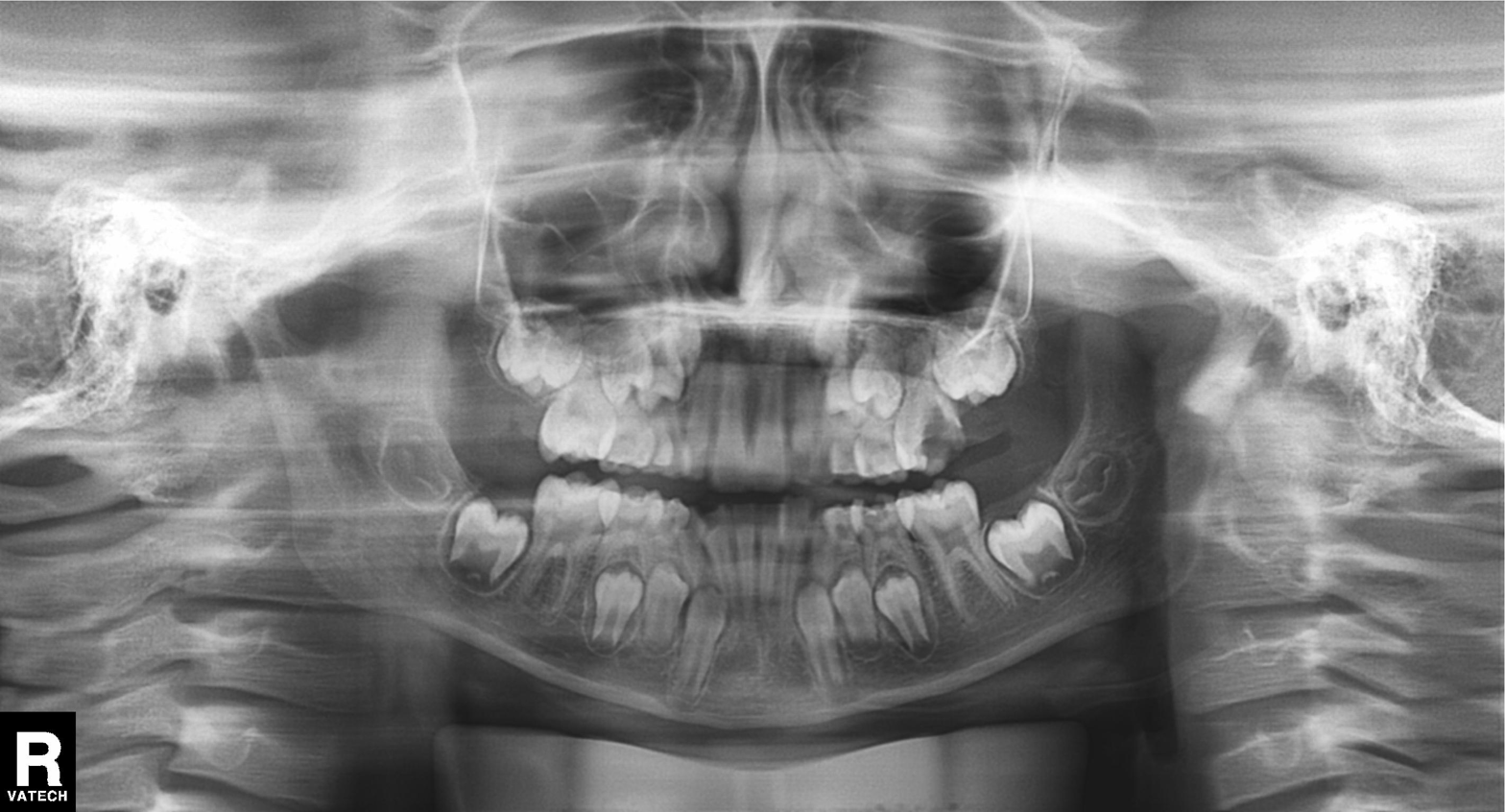
Panoramic dental radiograph (orthopantomogram). Finding: alveolar bone loss.